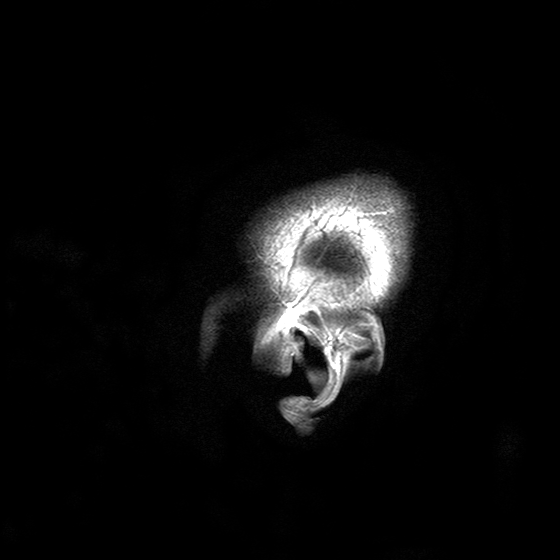
modality: 3 Tesla brain MRI
series: T2-weighted turbo spin echo with SENSE
study: ring-enhancing brain masses